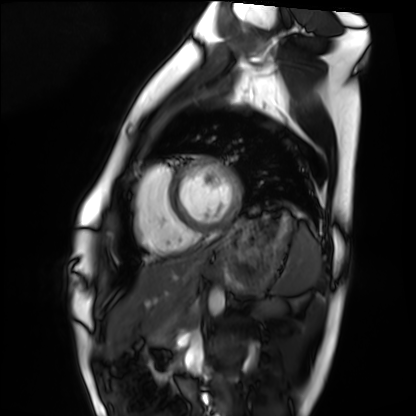
Cardiac MRI. Subject group: healthy volunteer.